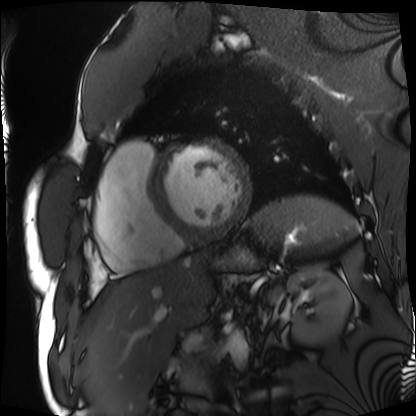
modality: cardiac MRI
cohort: patient